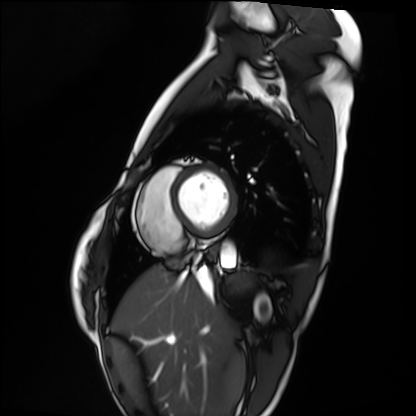
Cardiac MRI. Subject group: healthy volunteer.